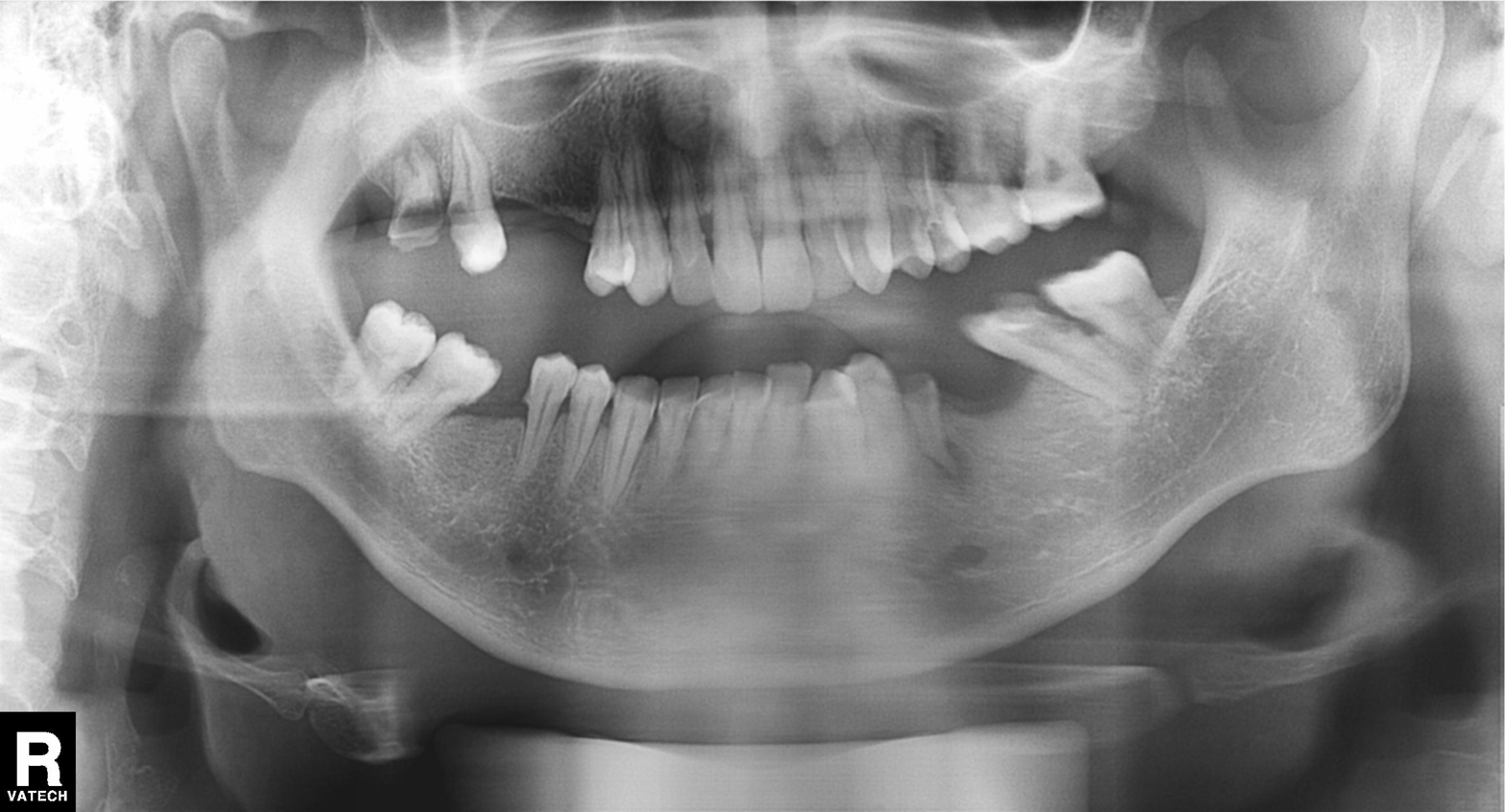
Q: What kind of scan is this?
A: Panoramic dental radiograph (orthopantomogram).
Q: What is the radiographic finding?
A: Alveolar bone loss.